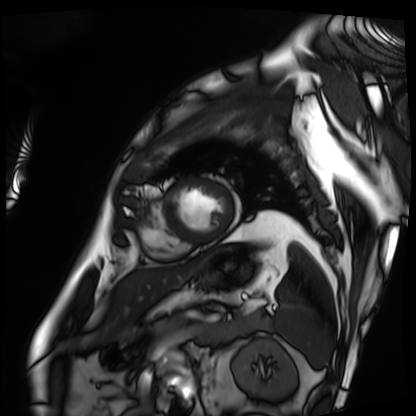
Q: What kind of scan is this?
A: Cardiac MRI.
Subject group: patient.